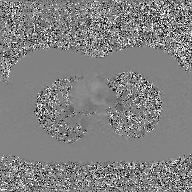
2D phase-contrast cine MRI of the ascending aorta, GAN super-resolution reconstruction.